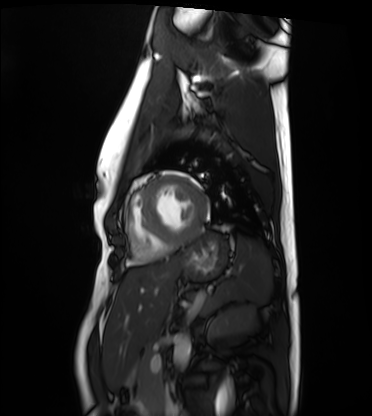
{"modality": "cardiac MRI", "cohort": "healthy volunteer"}